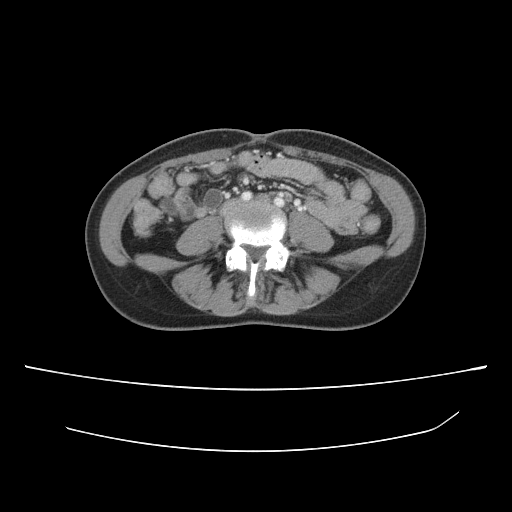
modality: multiphase abdominal CT, liver, portal venous phase
patient: female, age 35
history: prior chemotherapy